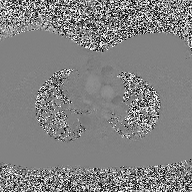
Case:
– modality: 2D phase-contrast cine MRI of the ascending aorta